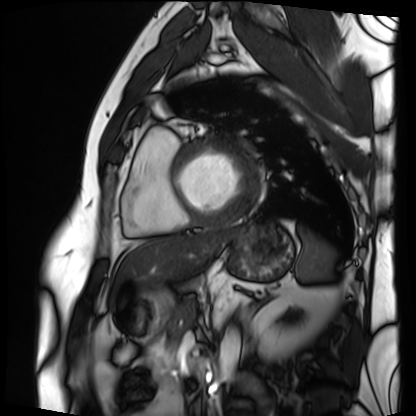
modality = cardiac MRI, subject group = patient.